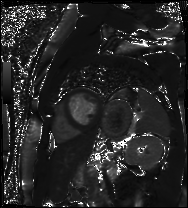
Cardiac MR image of the myocardium.
Subject cohort: cardiac patient.